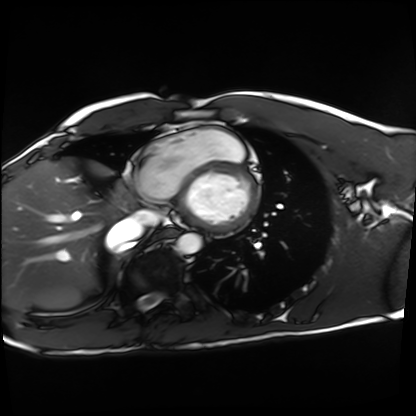
Summary:
Cardiac MRI. Subject group: healthy volunteer.